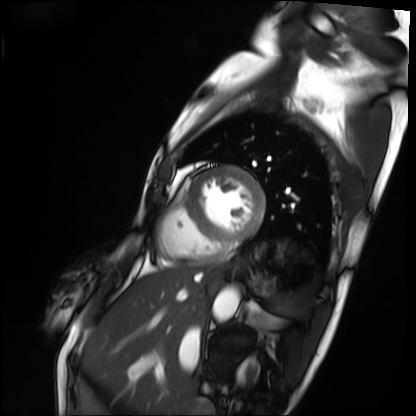
Cardiac MRI.
Subject group: patient.